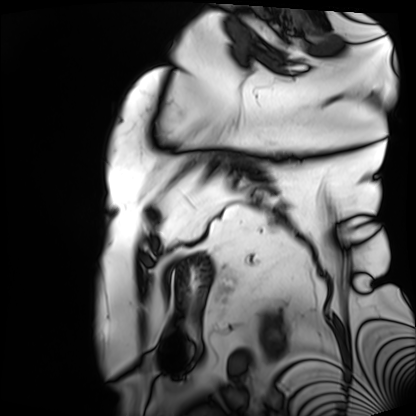
Case summary:
Cardiac MRI. Subject group: patient.